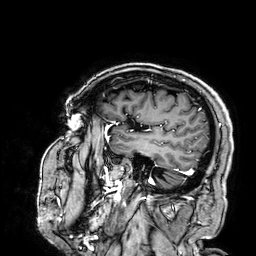
3 Tesla brain MRI.
Series: 3D T1-weighted.
Study: ring-enhancing brain masses.